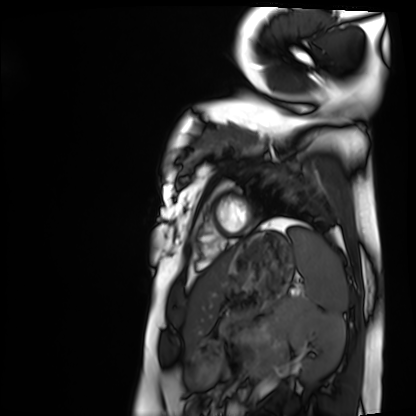
Clinical context:
Cardiac MRI. Subject group: healthy volunteer.